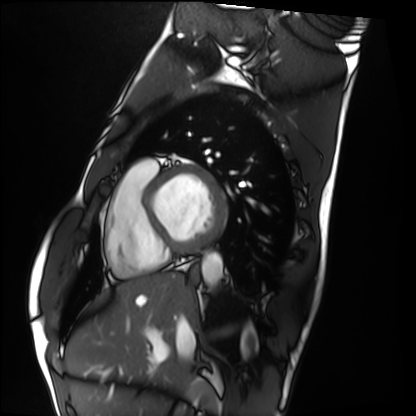
Q: What kind of scan is this?
A: Cardiac MRI.
Subject group: healthy volunteer.